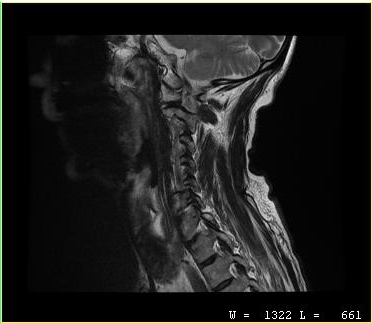
modality = MRI of the cervical spine | study = cervical spondylosis.